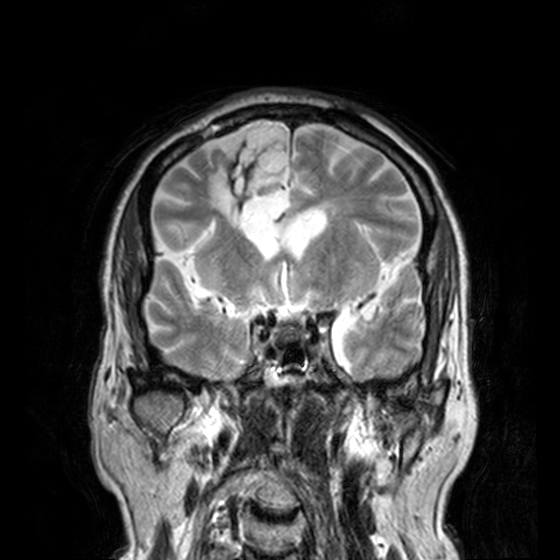
3 Tesla brain MRI. Series: T2-weighted turbo spin echo, 3 mm. Study: ring-enhancing brain masses.